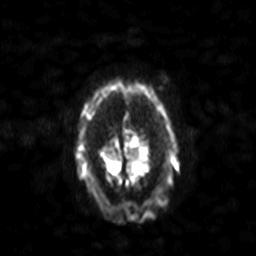
3 Tesla brain MRI.
Series: diffusion-weighted imaging with SENSE (WIP).
Study: ring-enhancing brain masses.